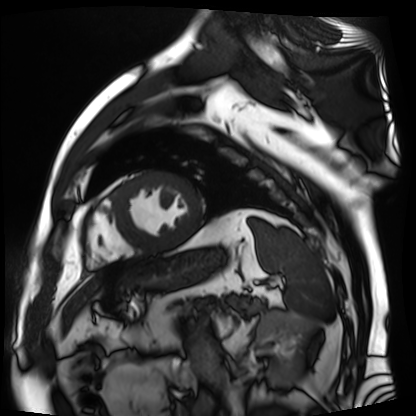
Summary: Cardiac MR image of the myocardium. Subject cohort: cardiac patient.